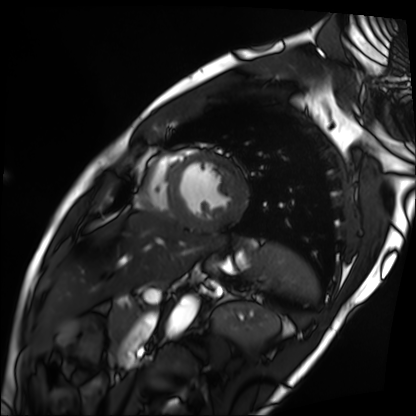
Summary:
Cardiac MRI. Subject group: patient.